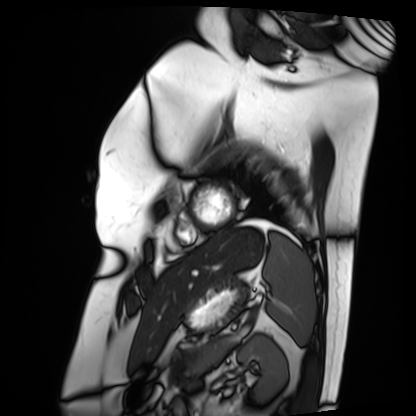
Cardiac MRI. Subject group: patient.